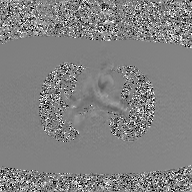
{
  "modality": {
    "type": "2D phase-contrast cine MRI",
    "region": "ascending aorta",
    "reconstruction": "GAN super-resolution reconstruction"
  }
}